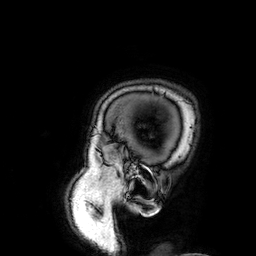
3 Tesla brain MRI.
Series: 3D T1-weighted.
Study: ring-enhancing brain masses.